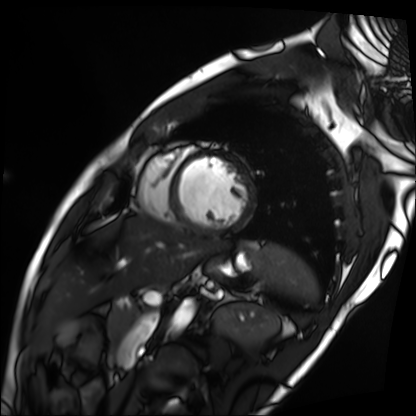
Q: What kind of scan is this?
A: Cardiac MRI.
Subject group: patient.